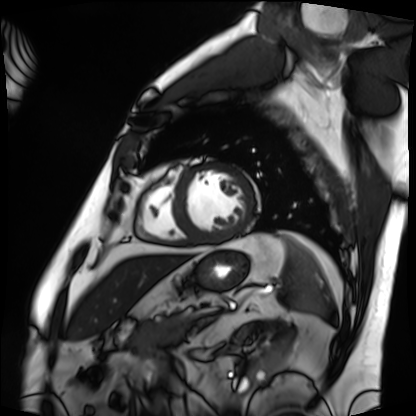
{"modality": "cardiac MRI", "cohort": "patient"}